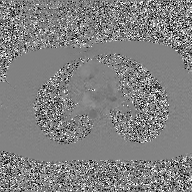
Q: What kind of scan is this?
A: 2D phase-contrast cine MRI of the ascending aorta, GAN super-resolution reconstruction.